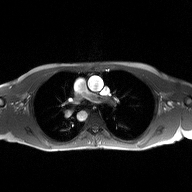
2D phase-contrast cine MRI of the ascending aorta, high-resolution GRAPPA acquisition.